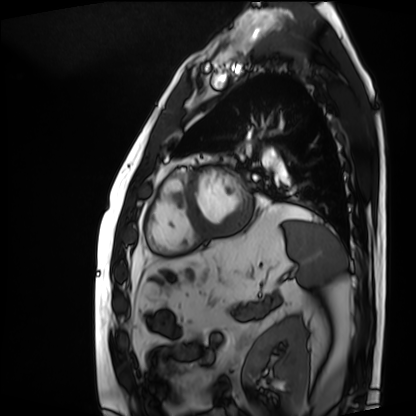
Case summary: Cardiac MRI. Subject group: patient.